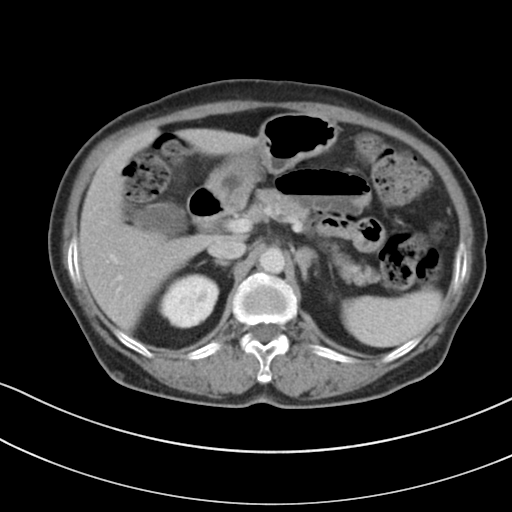
Multiphase abdominal CT, liver, portal venous phase.
Patient: female, age 72.